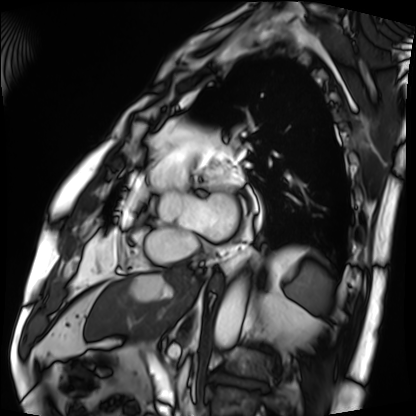
• modality: cardiac MRI
• subject group: patient